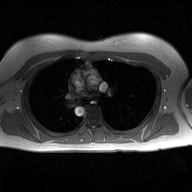
2D phase-contrast cine MRI of the ascending aorta, high-resolution GRAPPA acquisition.